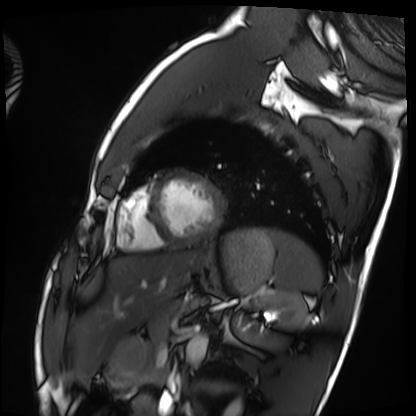
Clinical context:
Cardiac MRI. Subject group: healthy volunteer.